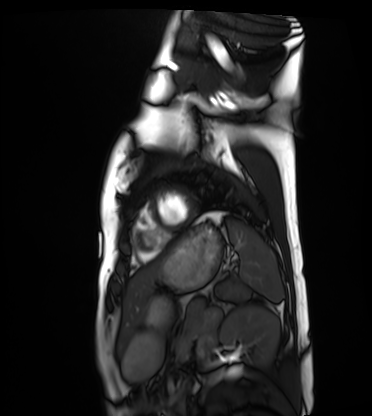
Cardiac MRI. Subject group: healthy volunteer.